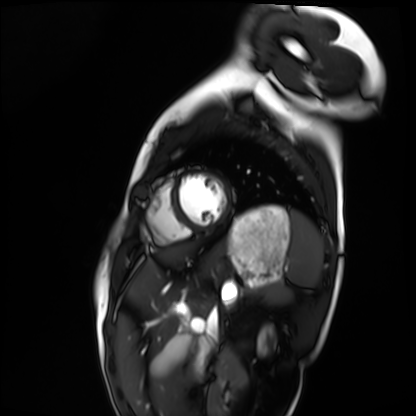
<case>
  <modality>cardiac MRI</modality>
  <cohort>healthy volunteer</cohort>
</case>